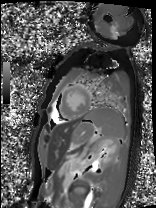
modality=cardiac MRI | subject group=patient.